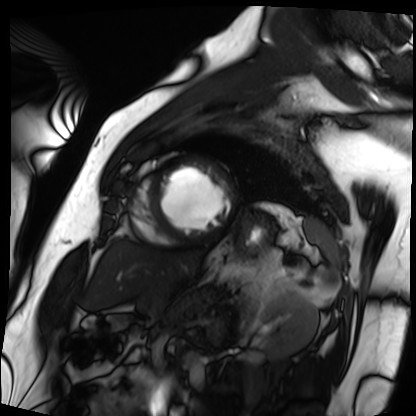
Cardiac MRI. Subject group: patient.